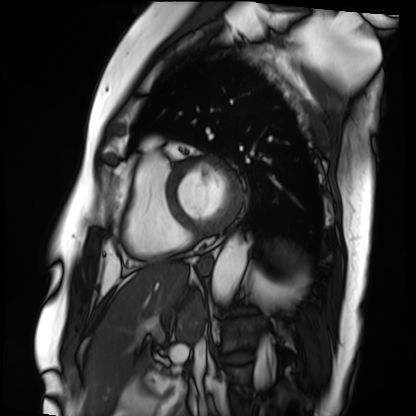
Case summary: Cardiac MRI. Subject group: patient.